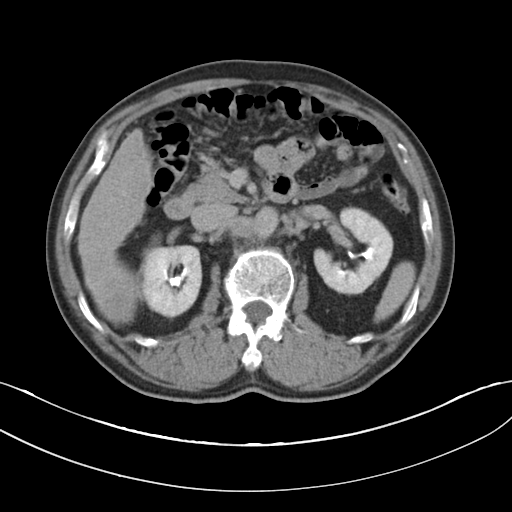
modality=multiphase abdominal CT, liver, delayed phase
patient=male, age 62